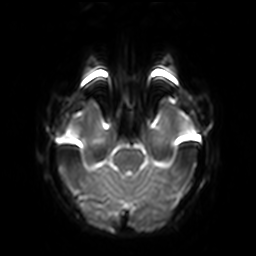
Q: What kind of scan is this?
A: 3 Tesla brain MRI.
Q: Series?
A: Diffusion-weighted imaging with SENSE (WIP).
Study: ring-enhancing brain masses.